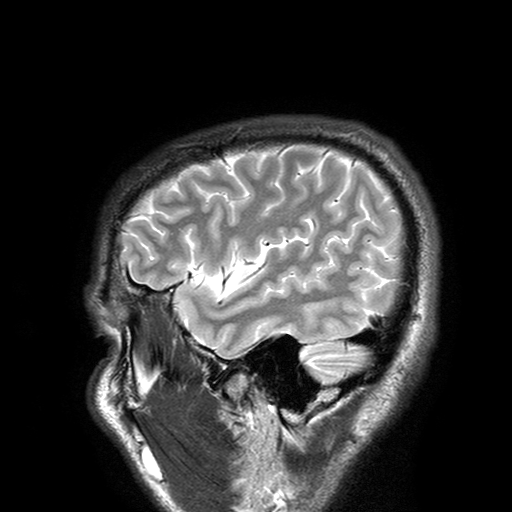
Case:
- modality · 3 Tesla brain MRI
- series · T2-weighted turbo spin echo with SENSE
- study · ring-enhancing brain masses